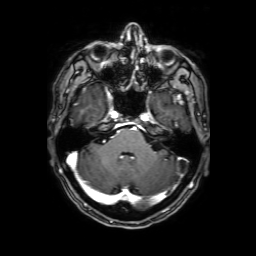
Clinical context:
3 Tesla brain MRI. Series: 3D T1-weighted with SENSE. Study: ring-enhancing brain masses.